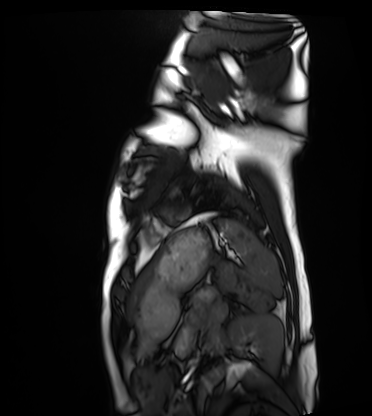
Cardiac MRI.
Subject group: healthy volunteer.